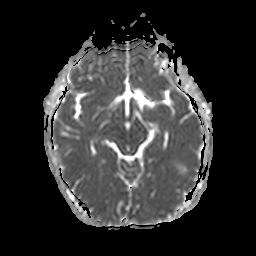
3 Tesla brain MRI. Series: apparent diffusion coefficient (ADC) map. Study: ring-enhancing brain masses.